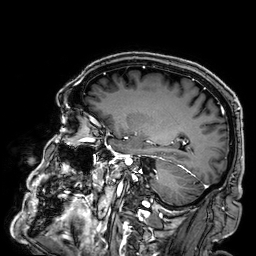
3 Tesla brain MRI. Study: ring-enhancing brain masses.